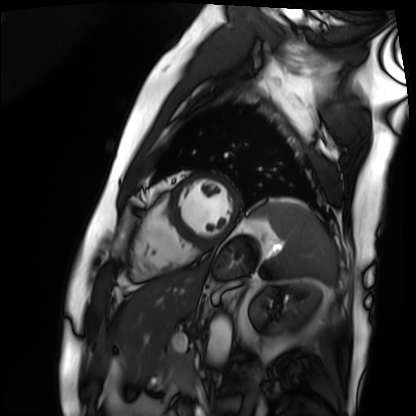
Cardiac MRI. Subject group: patient.